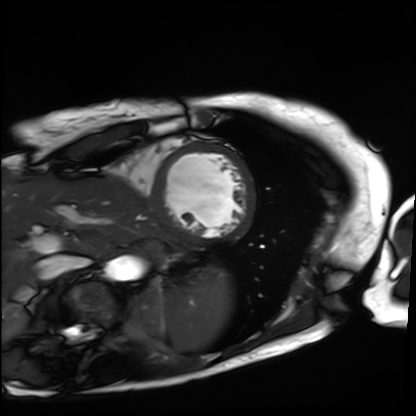
Summary: Cardiac MRI. Subject group: patient.